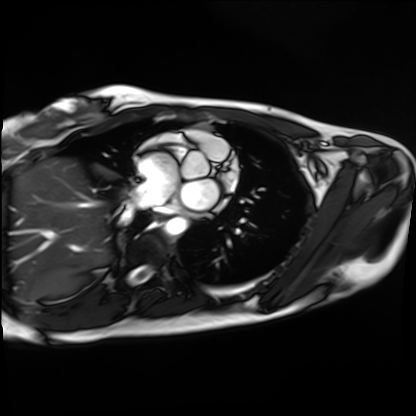
Q: What kind of scan is this?
A: Cardiac MRI.
Subject group: healthy volunteer.